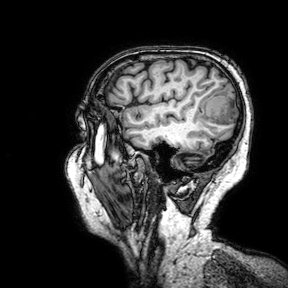
3 Tesla brain MRI.
Series: 3D T1-weighted turbo field echo with SENSE.
Study: ring-enhancing brain masses.